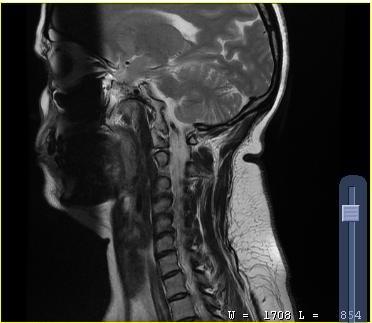
modality = MRI of the cervical spine | study = cervical spondylosis.